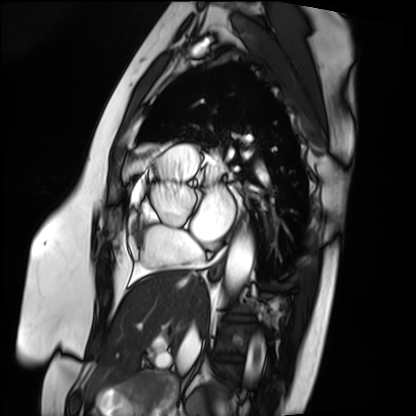
Summary:
Cardiac MRI. Subject group: patient.